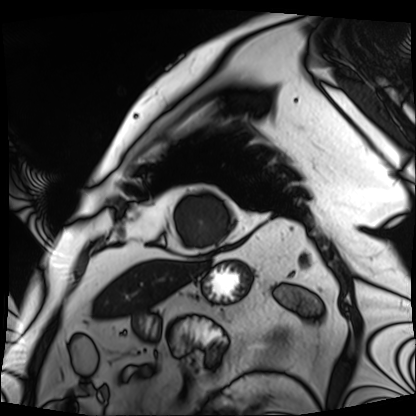
Case summary: Cardiac MRI. Subject group: patient.